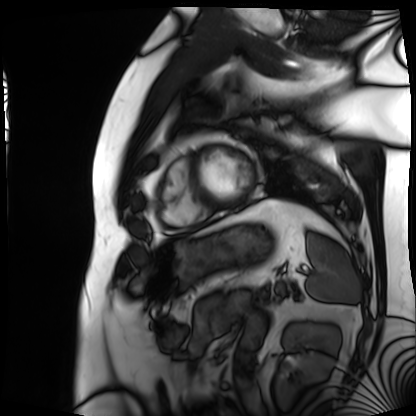
Summary: Cardiac MRI. Subject group: patient.